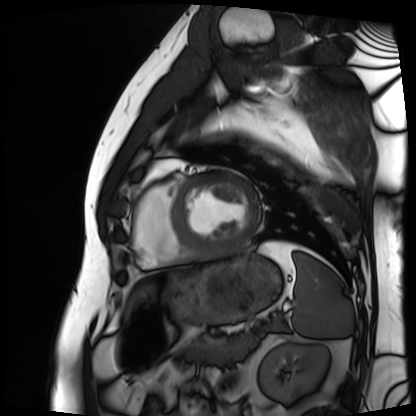
{"modality": "cardiac MRI", "cohort": "patient"}